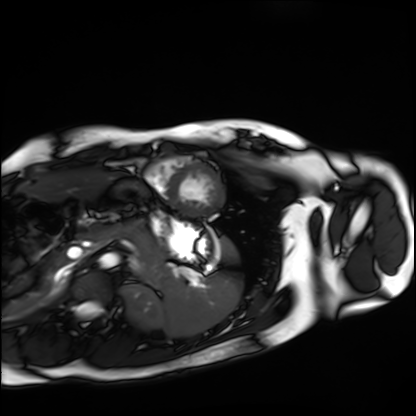
  modality: cardiac MRI
  cohort: healthy volunteer